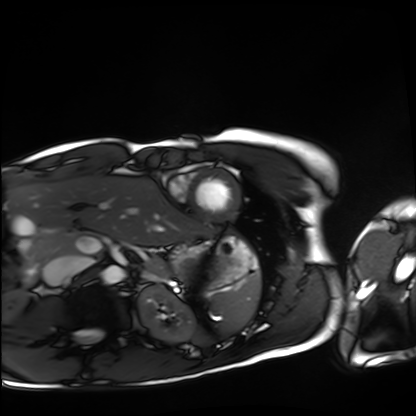
modality = cardiac MRI | subject group = healthy volunteer.